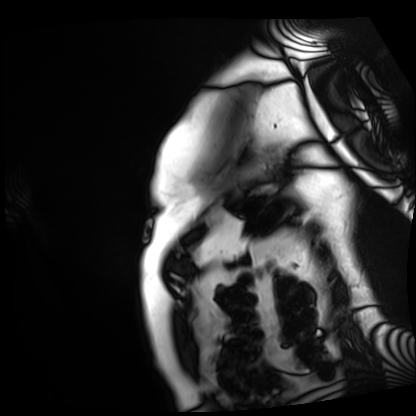
modality: cardiac MRI
subject group: patient